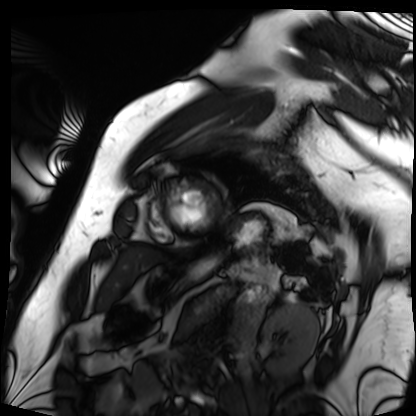
Cardiac MRI.
Subject group: patient.